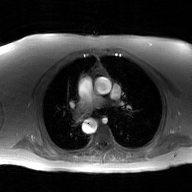
| field | value |
|---|---|
| modality | 2D phase-contrast cine MRI of the ascending aorta, GAN super-resolution reconstruction |